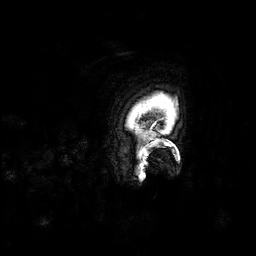
Case summary: 3 Tesla brain MRI. Series: 3D T1-weighted. Study: ring-enhancing brain masses.